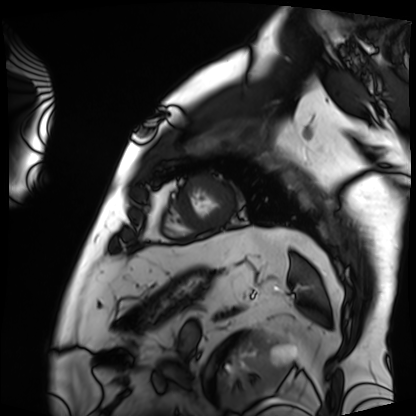
{
  "modality": "cardiac MRI",
  "cohort": "patient"
}